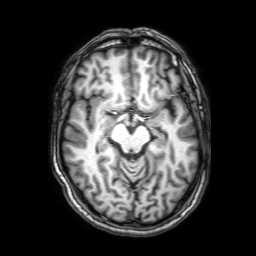
Q: What kind of scan is this?
A: 3 Tesla brain MRI.
Q: Series?
A: 3D T1-weighted with SENSE.
Study: ring-enhancing brain masses.